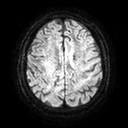
Case:
• modality — 3 Tesla brain MRI
• series — diffusion tensor imaging (medium iso)
• study — ring-enhancing brain masses